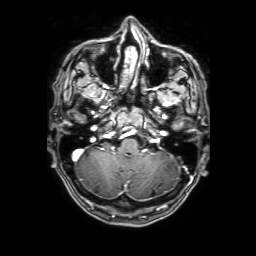
Summary:
3 Tesla brain MRI. Series: 3D T1-weighted with SENSE. Study: ring-enhancing brain masses.